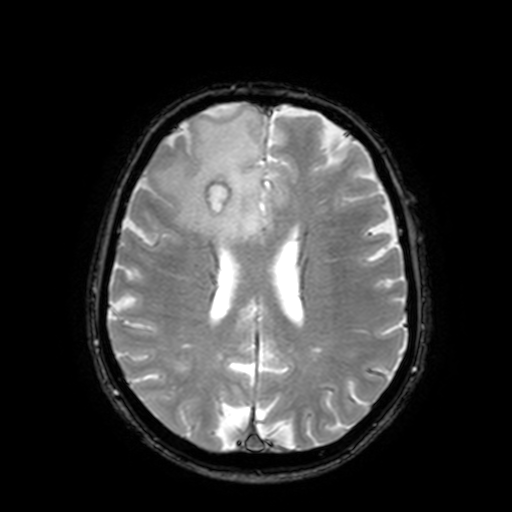
Summary:
3 Tesla brain MRI. Series: T2-weighted fast field echo with SENSE. Study: ring-enhancing brain masses.